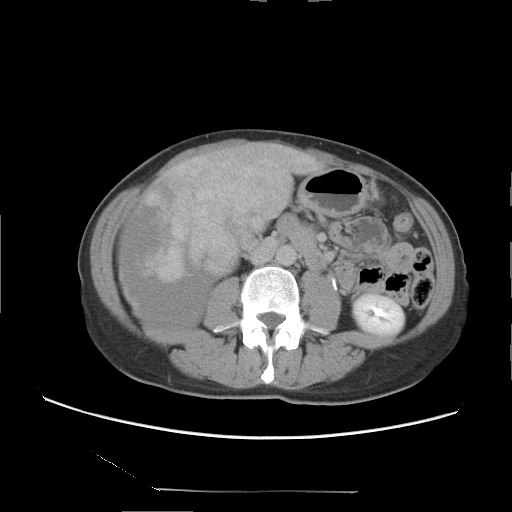
modality=multiphase abdominal CT, liver, delayed phase | patient=female, age 47.